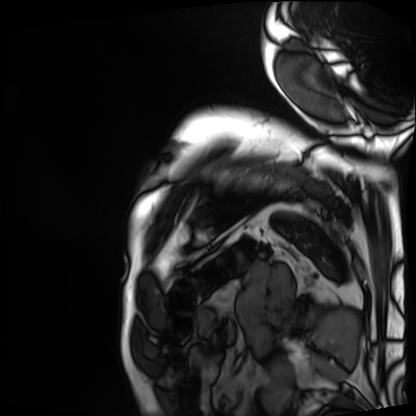
Cardiac MRI. Subject group: patient.